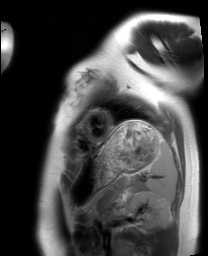
modality = cardiac MRI, subject group = healthy volunteer.